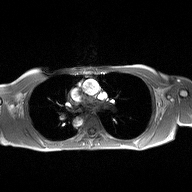
2D phase-contrast cine MRI of the ascending aorta, high-resolution GRAPPA acquisition.